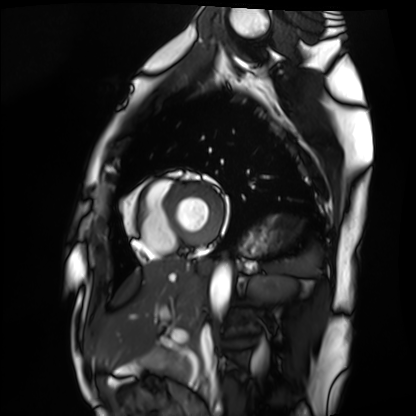
<scan>
<modality>cardiac MRI</modality>
<cohort>healthy volunteer</cohort>
</scan>